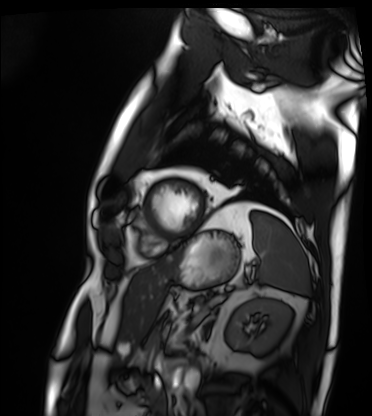
modality: cardiac MRI
subject group: patient